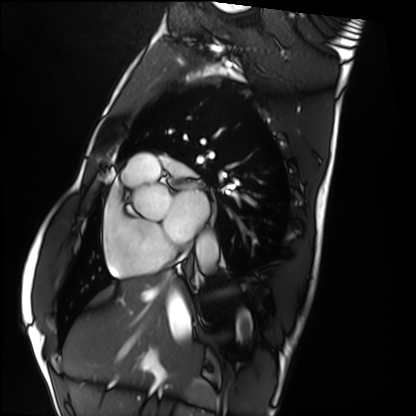
Cardiac MRI. Subject group: healthy volunteer.